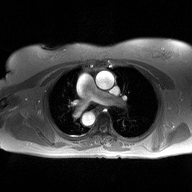
Summary:
2D phase-contrast cine MRI of the ascending aorta, high-resolution GRAPPA acquisition.